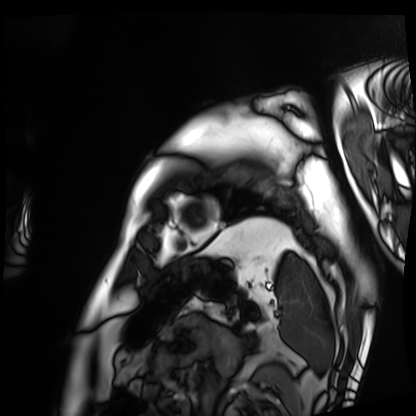
modality=cardiac MRI; subject group=patient.